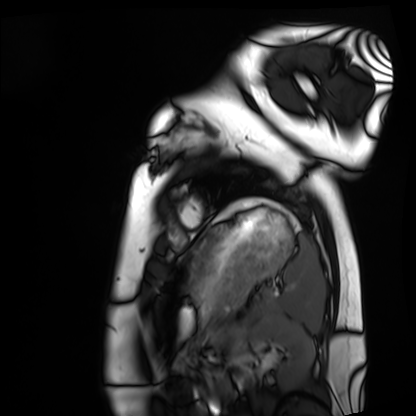
Summary:
Cardiac MRI. Subject group: healthy volunteer.